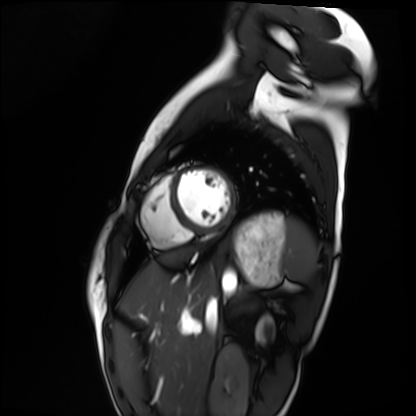
* modality — cardiac MRI
* subject group — healthy volunteer